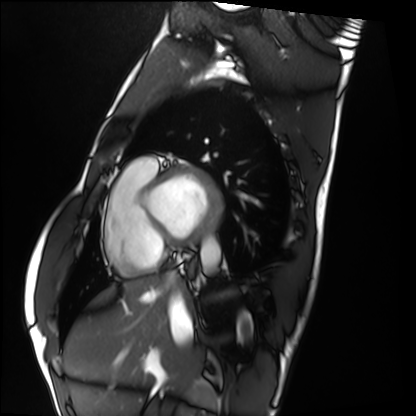
Summary: Cardiac MRI. Subject group: healthy volunteer.